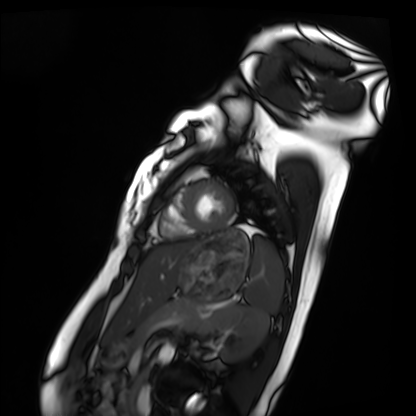
modality: cardiac MRI | subject group: healthy volunteer.